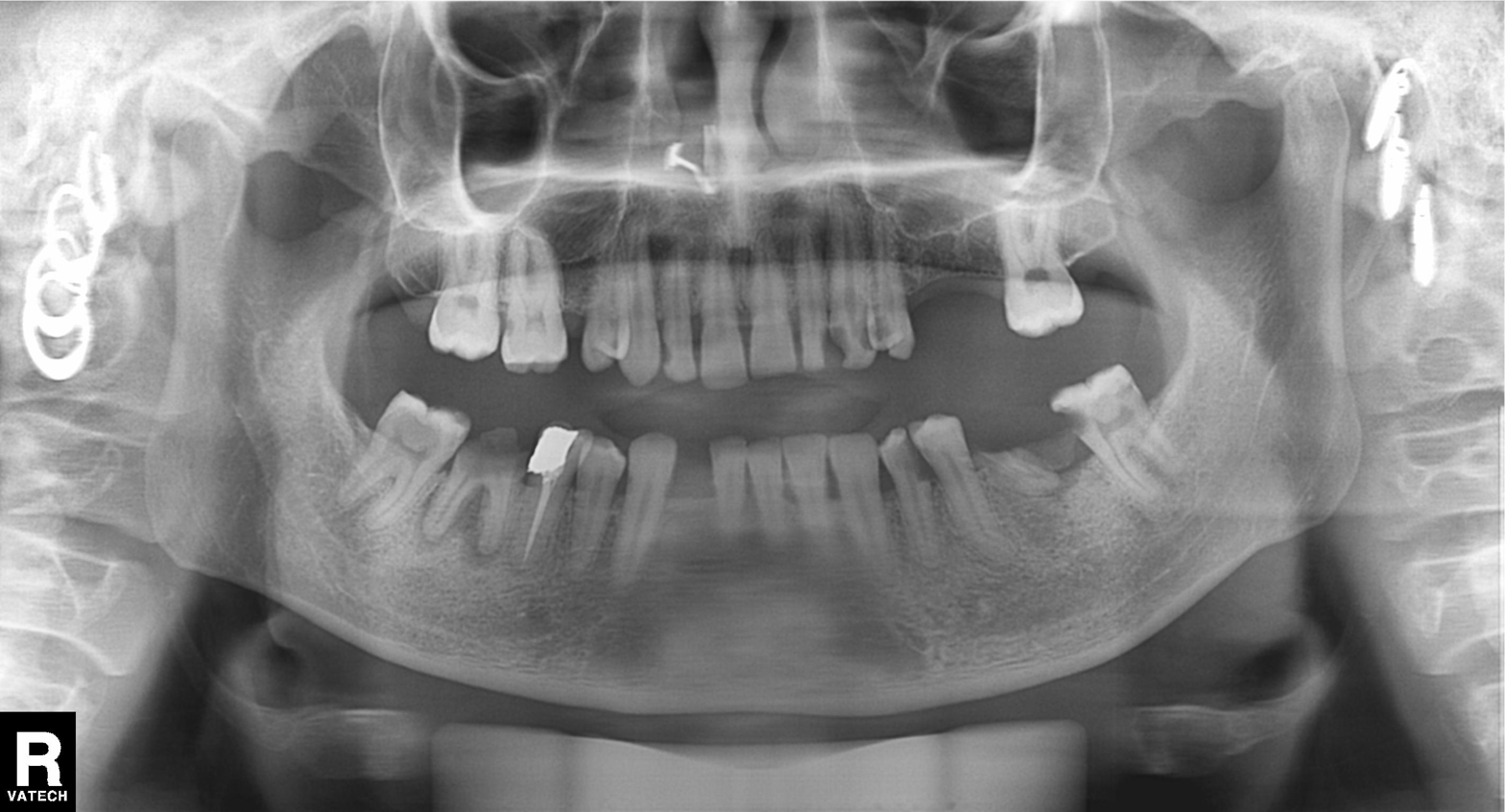
Q: What kind of scan is this?
A: Panoramic dental radiograph (orthopantomogram).
Q: What is the radiographic finding?
A: Tooth impaction.